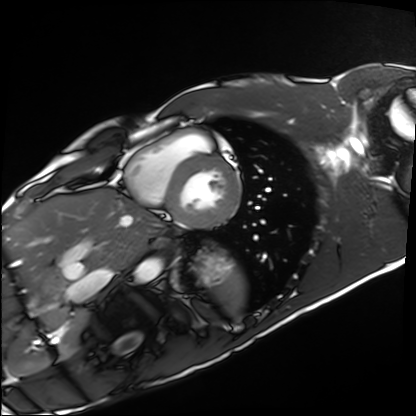
Q: What kind of scan is this?
A: Cardiac MRI.
Subject group: healthy volunteer.